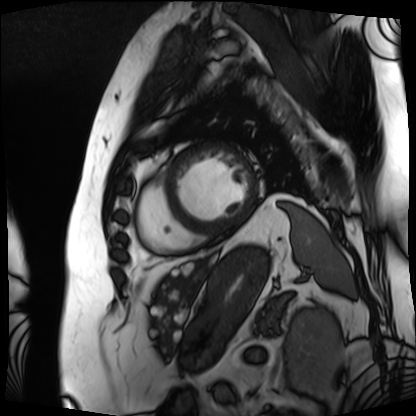
Cardiac MRI.
Subject group: patient.